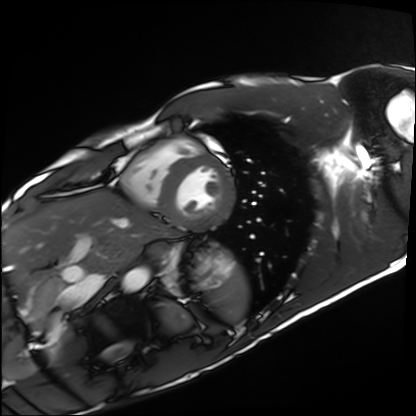
– modality — cardiac MRI
– subject group — healthy volunteer